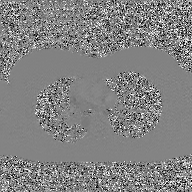
| field | value |
|---|---|
| modality | 2D phase-contrast cine MRI of the ascending aorta, GAN super-resolution reconstruction |